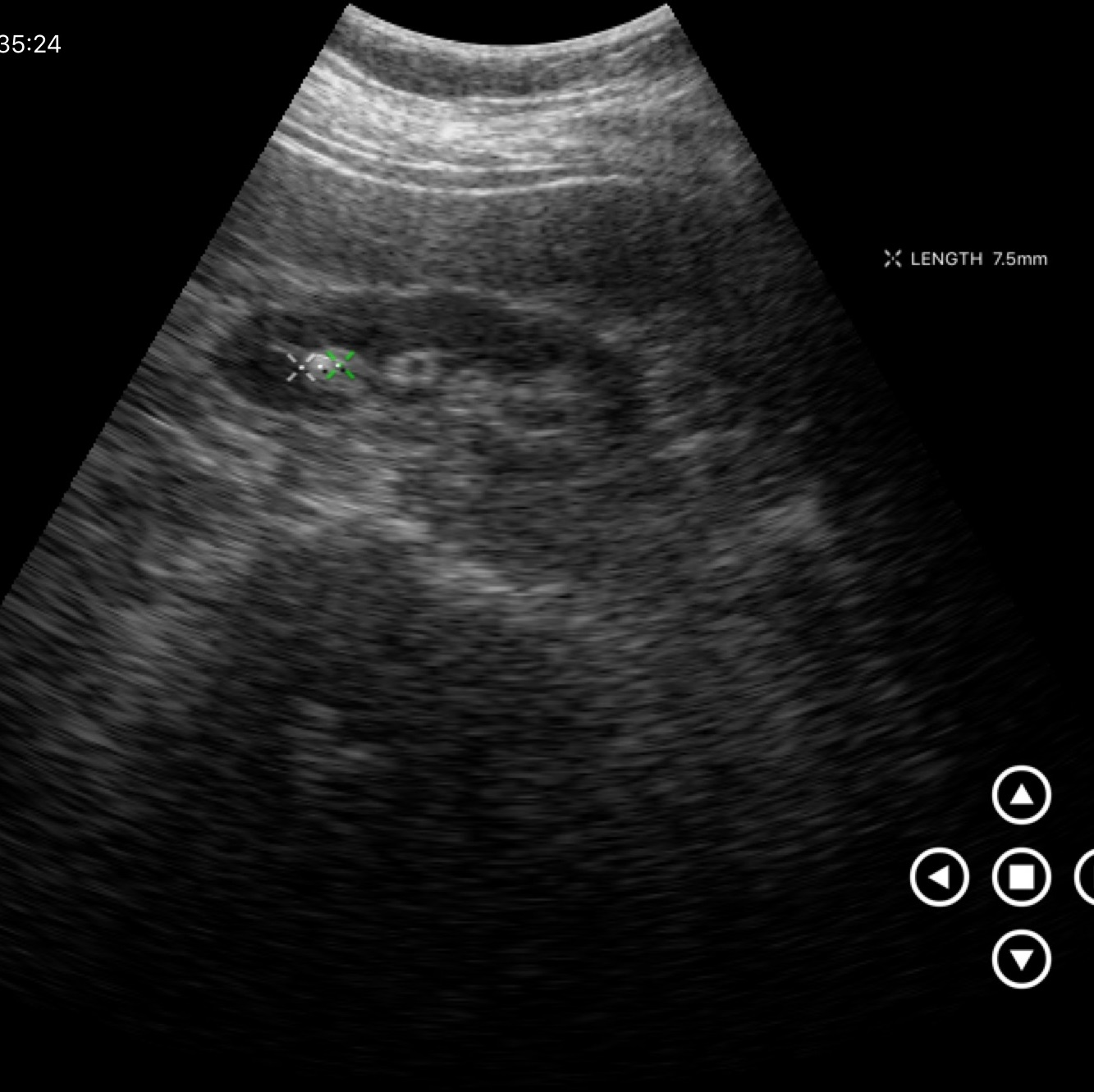
  modality:
    type: genitourinary ultrasound